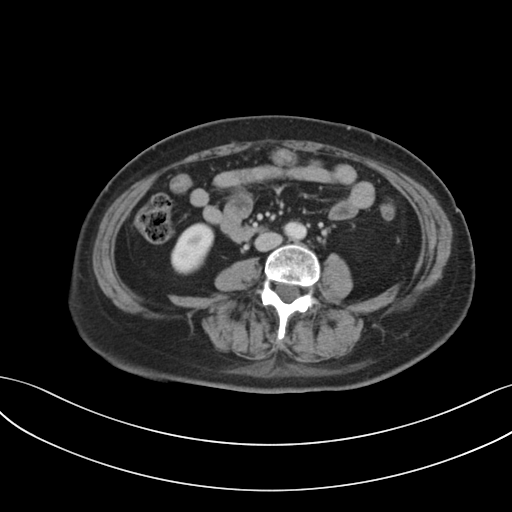
Case:
- modality · multiphase abdominal CT, liver, portal venous phase
- patient · female, age 63
- history · prior chemotherapy